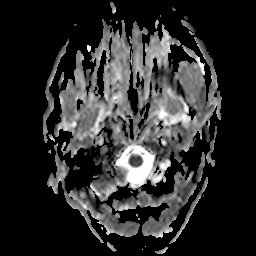
Case summary:
3 Tesla brain MRI. Series: apparent diffusion coefficient (ADC) map. Study: ring-enhancing brain masses.